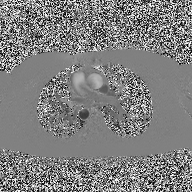
Summary:
2D phase-contrast cine MRI of the ascending aorta, high-resolution GRAPPA acquisition.